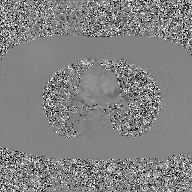
Q: What kind of scan is this?
A: 2D phase-contrast cine MRI of the ascending aorta, GAN super-resolution reconstruction.